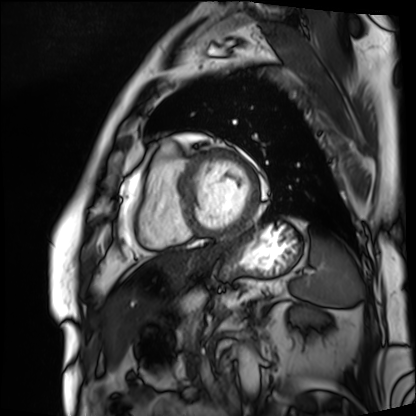
<record>
<modality>cardiac MRI</modality>
<cohort>patient</cohort>
</record>